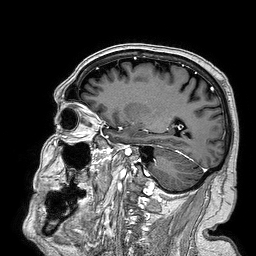
{"modality": {"type": "brain MRI", "field_strength": "3T"}, "series": "3D T1-weighted turbo field echo", "study_topic": "ring-enhancing brain masses"}